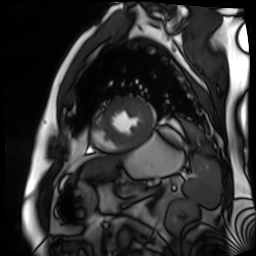
Cardiac MR image of the myocardium.
Subject cohort: cardiac patient.